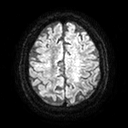
| field | value |
|---|---|
| modality | 3 Tesla brain MRI |
| series | diffusion tensor imaging (medium iso) |
| study | ring-enhancing brain masses |